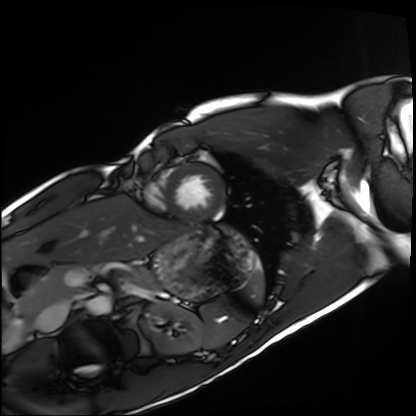
Q: What kind of scan is this?
A: Cardiac MRI.
Subject group: healthy volunteer.